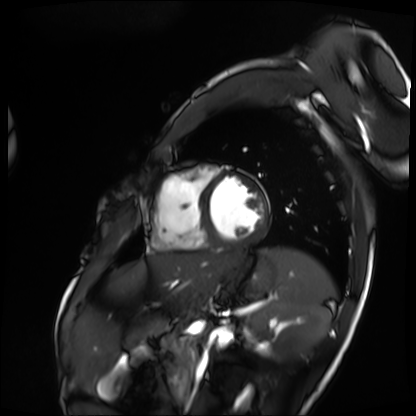
modality: cardiac MRI
subject group: patient